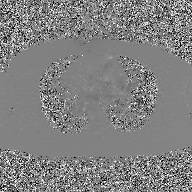
Summary:
2D phase-contrast cine MRI of the ascending aorta, GAN super-resolution reconstruction.